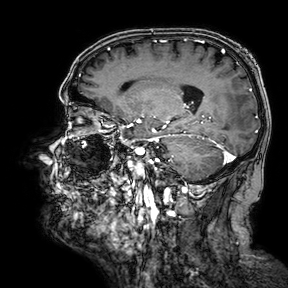
Summary: 3 Tesla brain MRI. Series: 3D T1-weighted turbo field echo with SENSE. Study: ring-enhancing brain masses.